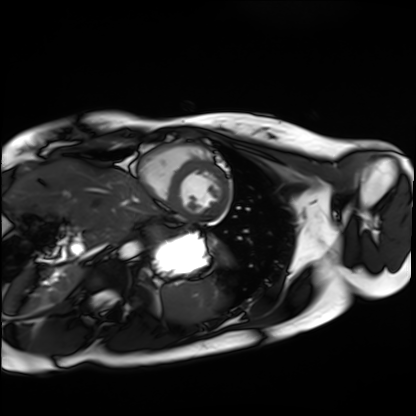
<record>
<modality>cardiac MRI</modality>
<cohort>healthy volunteer</cohort>
</record>